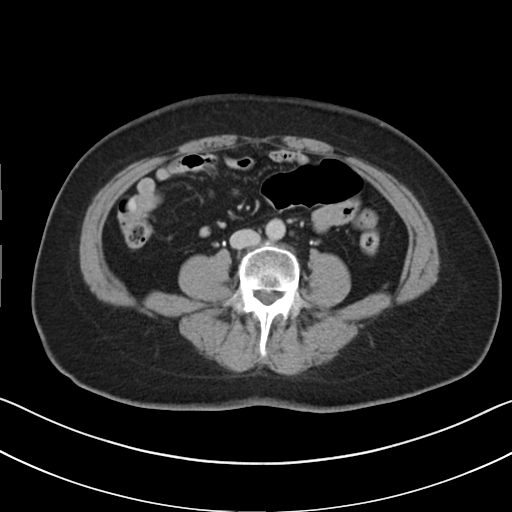
Multiphase abdominal CT, liver, delayed phase.
Patient: female, age 57.
History: viral hepatitis.